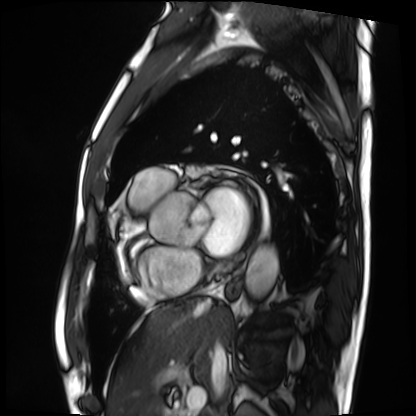
{
  "modality": "cardiac MRI",
  "cohort": "patient"
}